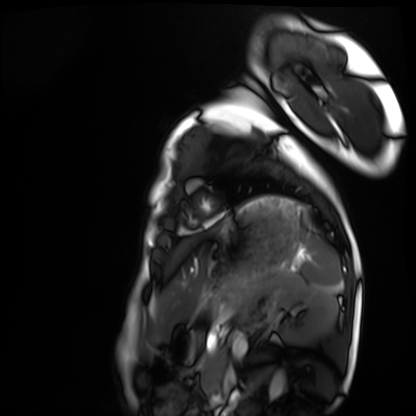
Q: What kind of scan is this?
A: Cardiac MRI.
Subject group: healthy volunteer.